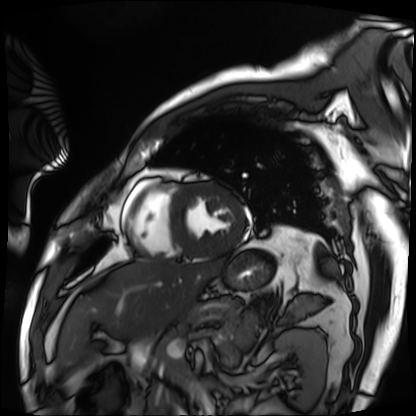
Summary:
Cardiac MRI. Subject group: patient.